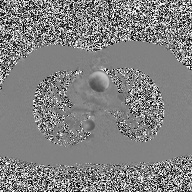
2D phase-contrast cine MRI of the ascending aorta, high-resolution GRAPPA acquisition.